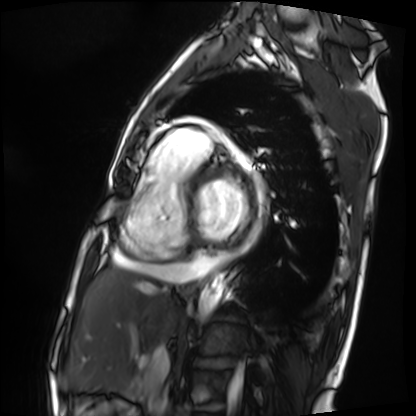
<record>
  <modality>cardiac MRI</modality>
  <cohort>patient</cohort>
</record>